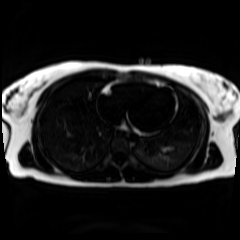
modality: chemical-shift-encoded cardiac MRI